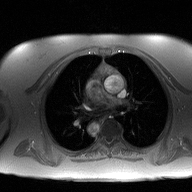
Clinical context:
2D phase-contrast cine MRI of the ascending aorta, high-resolution GRAPPA acquisition.